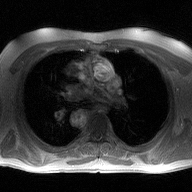
2D phase-contrast cine MRI of the ascending aorta, high-resolution GRAPPA acquisition.